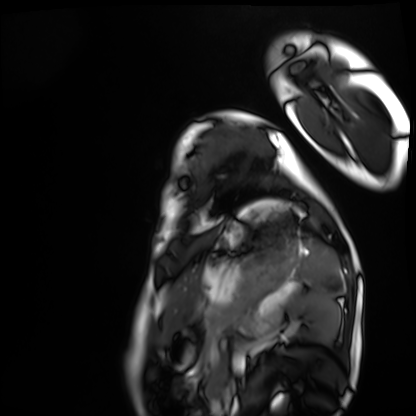
{
  "modality": "cardiac MRI",
  "cohort": "healthy volunteer"
}